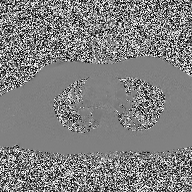
2D phase-contrast cine MRI of the ascending aorta, high-resolution GRAPPA acquisition.